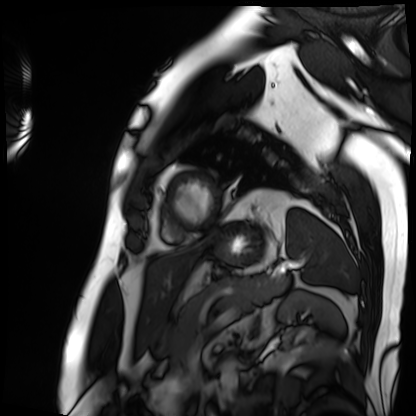
Case summary: Cardiac MRI. Subject group: patient.